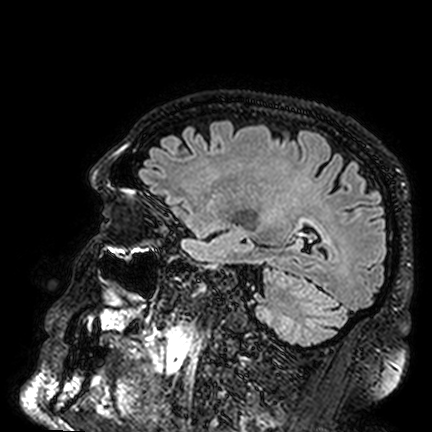
Summary: 3 Tesla brain MRI. Series: FLAIR VISTA. Study: ring-enhancing brain masses.